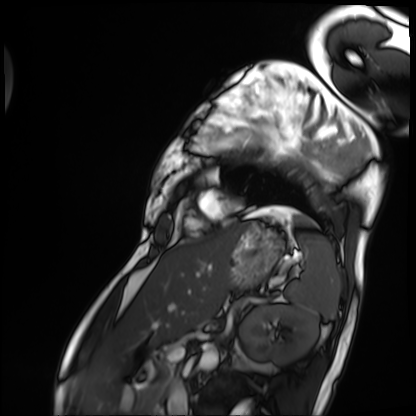
Cardiac MRI. Subject group: patient.